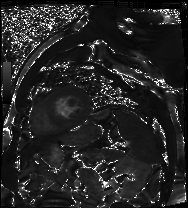
Cardiac MR image of the myocardium. Subject cohort: cardiac patient.